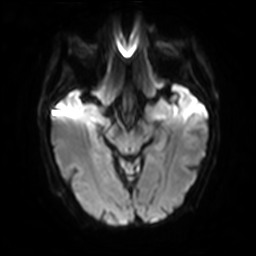
3 Tesla brain MRI.
Series: diffusion-weighted imaging with SENSE (WIP).
Study: ring-enhancing brain masses.